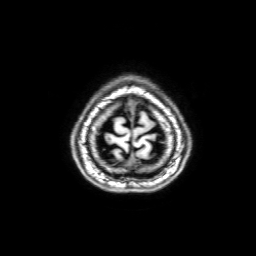
modality — 3 Tesla brain MRI; series — 3D T1-weighted with SENSE; study — ring-enhancing brain masses.